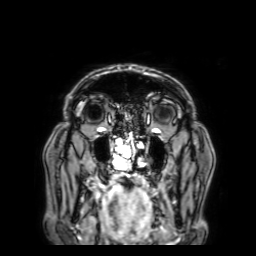
modality = 3 Tesla brain MRI; series = 3D T1-weighted with SENSE; study = ring-enhancing brain masses.